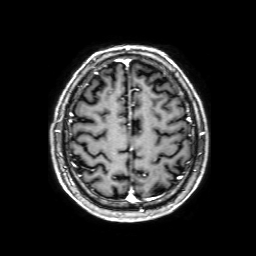
* modality: 3 Tesla brain MRI
* study: ring-enhancing brain masses